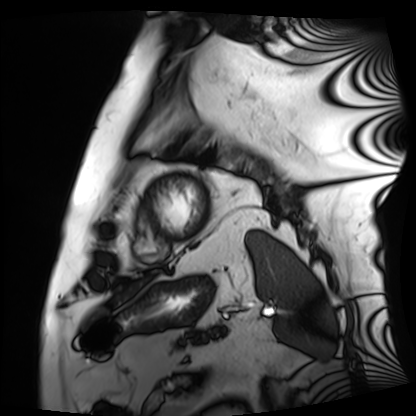
Summary: Cardiac MRI. Subject group: patient.